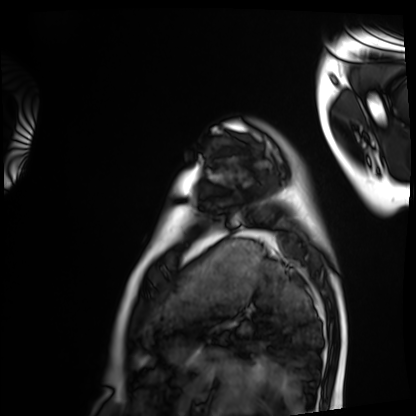
modality=cardiac MRI
subject group=healthy volunteer